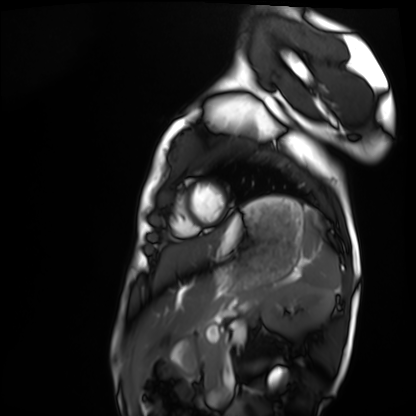
{"modality": "cardiac MRI", "cohort": "healthy volunteer"}